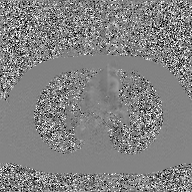
| field | value |
|---|---|
| modality | 2D phase-contrast cine MRI of the ascending aorta, GAN super-resolution reconstruction |